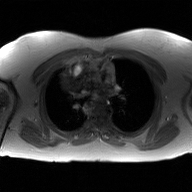
  modality:
    type: 2D phase-contrast cine MRI
    region: ascending aorta
    reconstruction: GAN super-resolution reconstruction